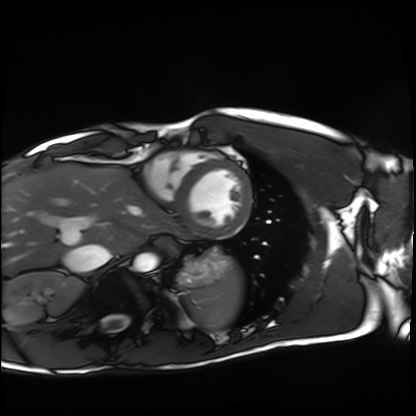
modality — cardiac MRI
subject group — healthy volunteer